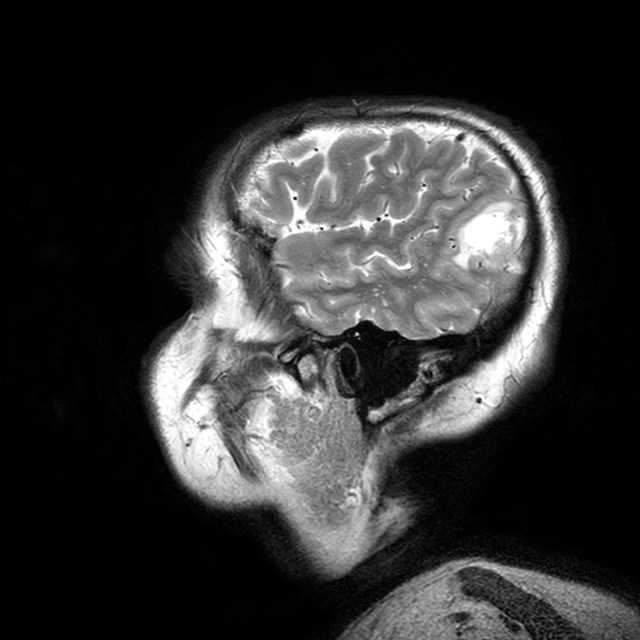
<case>
  <modality>
    <type>brain MRI</type>
    <field_strength>3T</field_strength>
  </modality>
  <series>T2-weighted turbo spin echo with CLEAR</series>
  <study_topic>ring-enhancing brain masses</study_topic>
</case>